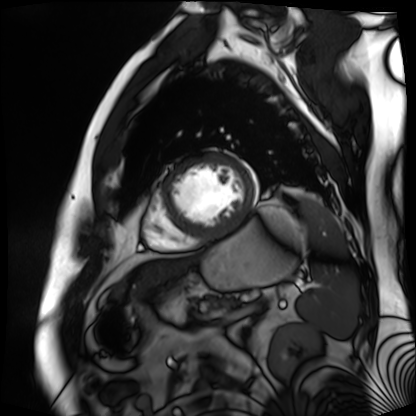
Case:
* modality — cardiac MR image of the myocardium
* subject cohort — cardiac patient